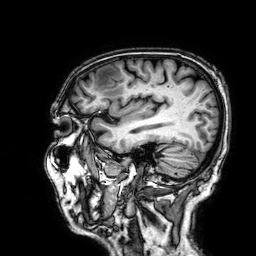
modality = 3 Tesla brain MRI
study = ring-enhancing brain masses